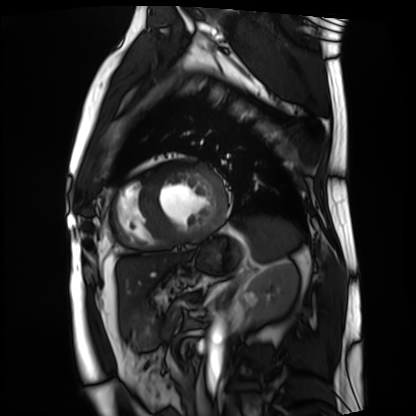
modality: cardiac MRI
subject group: patient